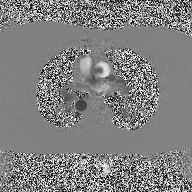
Case:
• modality · 2D phase-contrast cine MRI of the ascending aorta